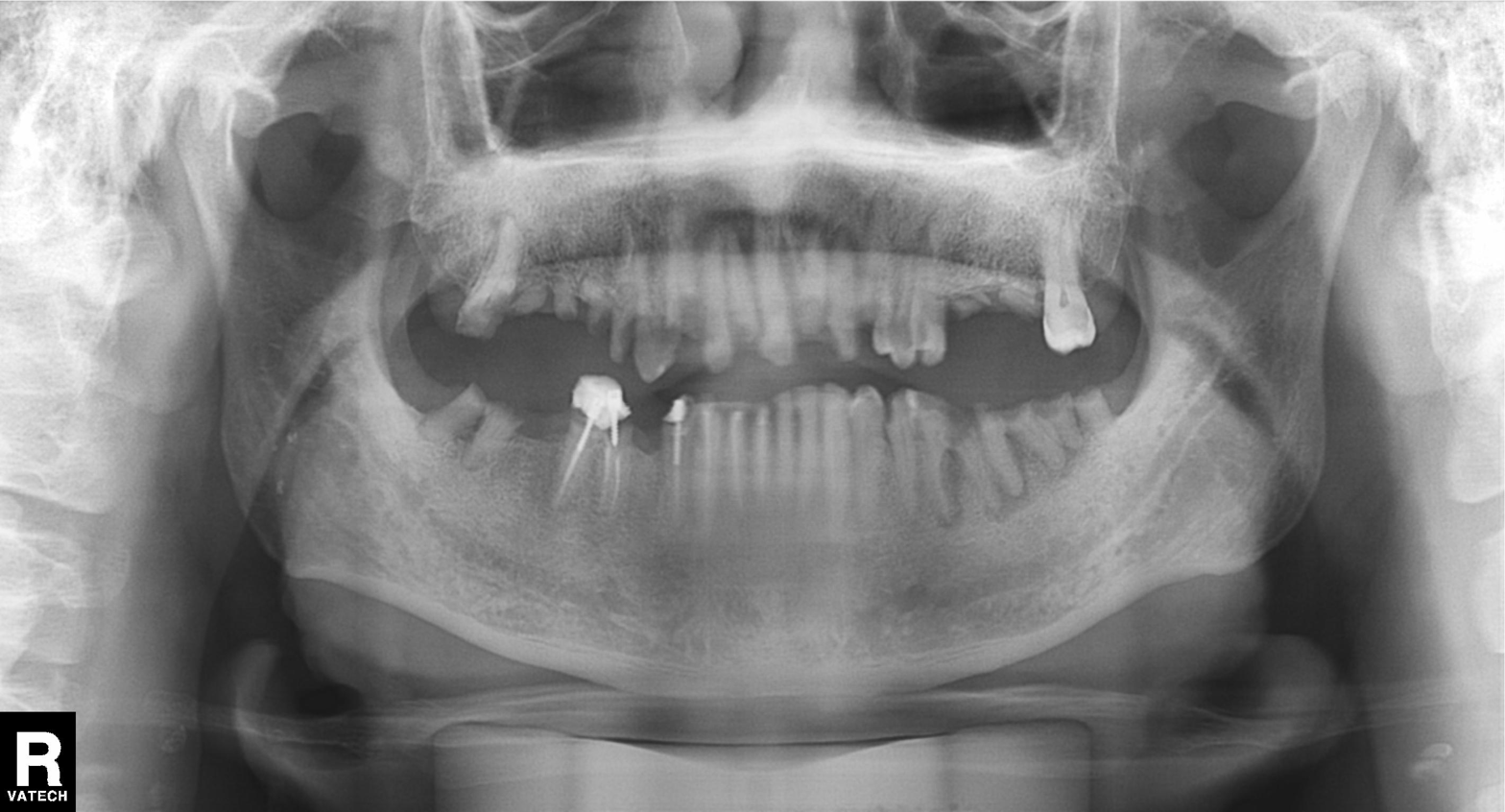
Q: What kind of scan is this?
A: Panoramic dental radiograph (orthopantomogram).
Q: What is the radiographic finding?
A: Dental caries (cavities).